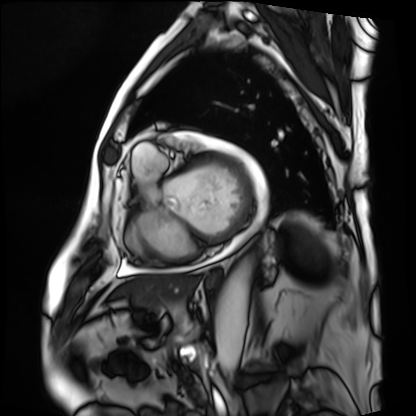
Cardiac MRI.
Subject group: patient.